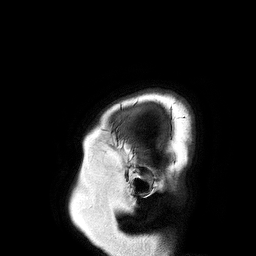
| field | value |
|---|---|
| modality | 3 Tesla brain MRI |
| study | ring-enhancing brain masses |